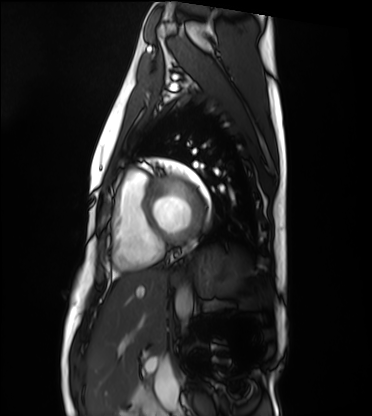
Case summary:
Cardiac MRI. Subject group: healthy volunteer.